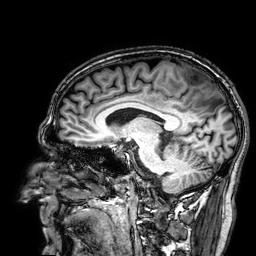
3 Tesla brain MRI. Series: 3D T1-weighted. Study: ring-enhancing brain masses.